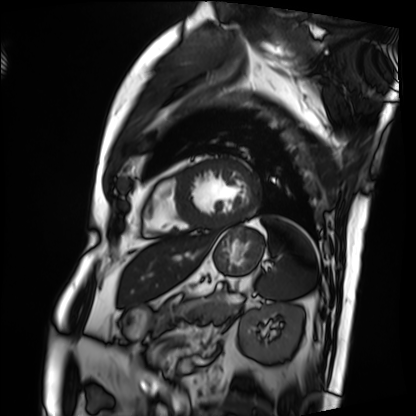
Case summary:
Cardiac MRI. Subject group: patient.